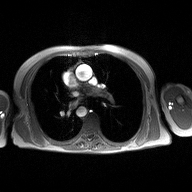
Clinical context:
2D phase-contrast cine MRI of the ascending aorta, high-resolution GRAPPA acquisition.